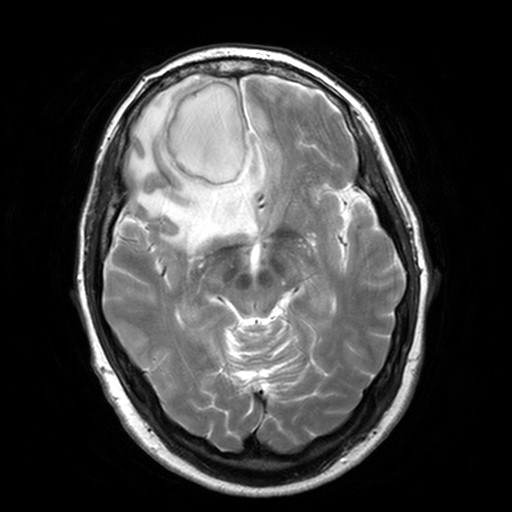
Q: What kind of scan is this?
A: 3 Tesla brain MRI.
Q: Series?
A: T2-weighted turbo spin echo, 3 mm.
Study: ring-enhancing brain masses.